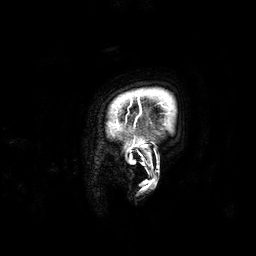
modality = 3 Tesla brain MRI
series = 3D T1-weighted
study = ring-enhancing brain masses